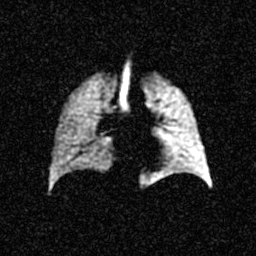
Hyperpolarized 129Xe ventilation MRI of the lungs.
SNR level 4 of 8 (the deposit holds this scan as its native image and as seven SNR-degraded versions).